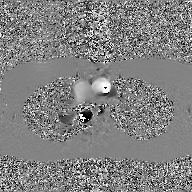
– modality — 2D phase-contrast cine MRI of the ascending aorta, GAN super-resolution reconstruction